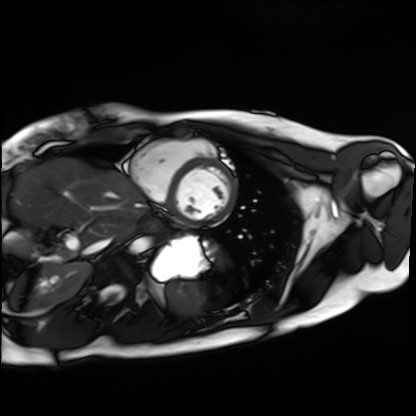
modality: cardiac MRI
subject group: healthy volunteer